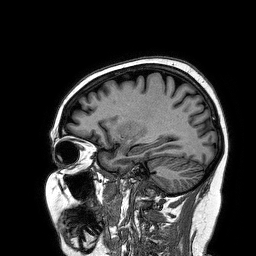
3 Tesla brain MRI.
Series: 3D T1-weighted turbo field echo.
Study: ring-enhancing brain masses.